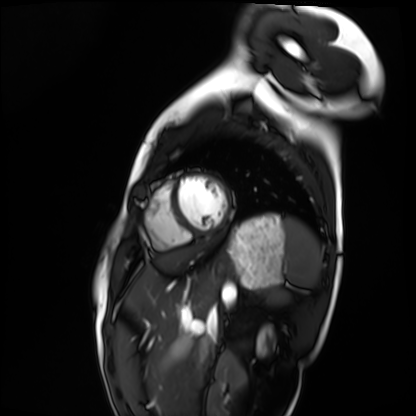
modality: cardiac MRI; subject group: healthy volunteer.